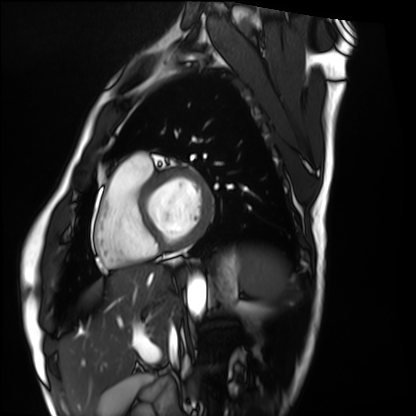
- modality — cardiac MRI
- subject group — healthy volunteer